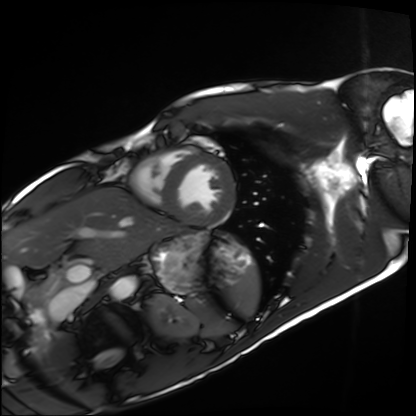
Summary: Cardiac MRI. Subject group: healthy volunteer.